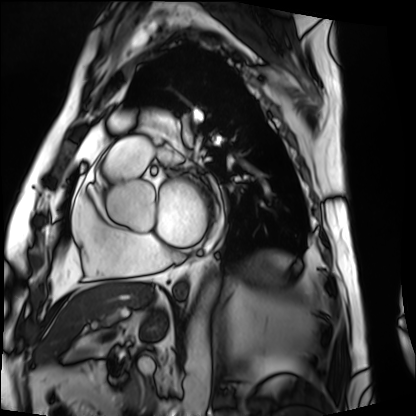
Clinical context:
Cardiac MRI. Subject group: patient.